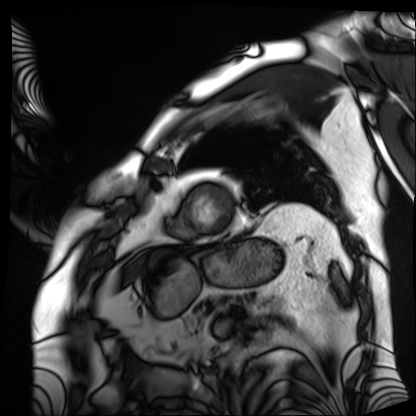
modality = cardiac MRI
subject group = patient